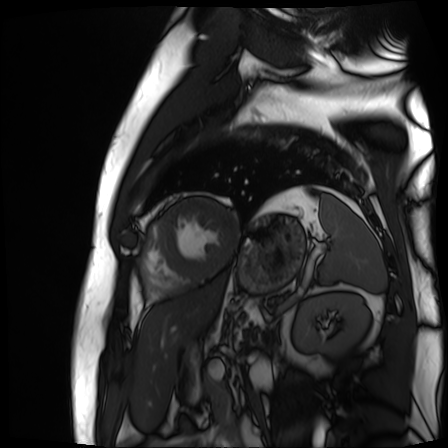
Cardiac MR image of the myocardium.
Subject cohort: cardiac patient.